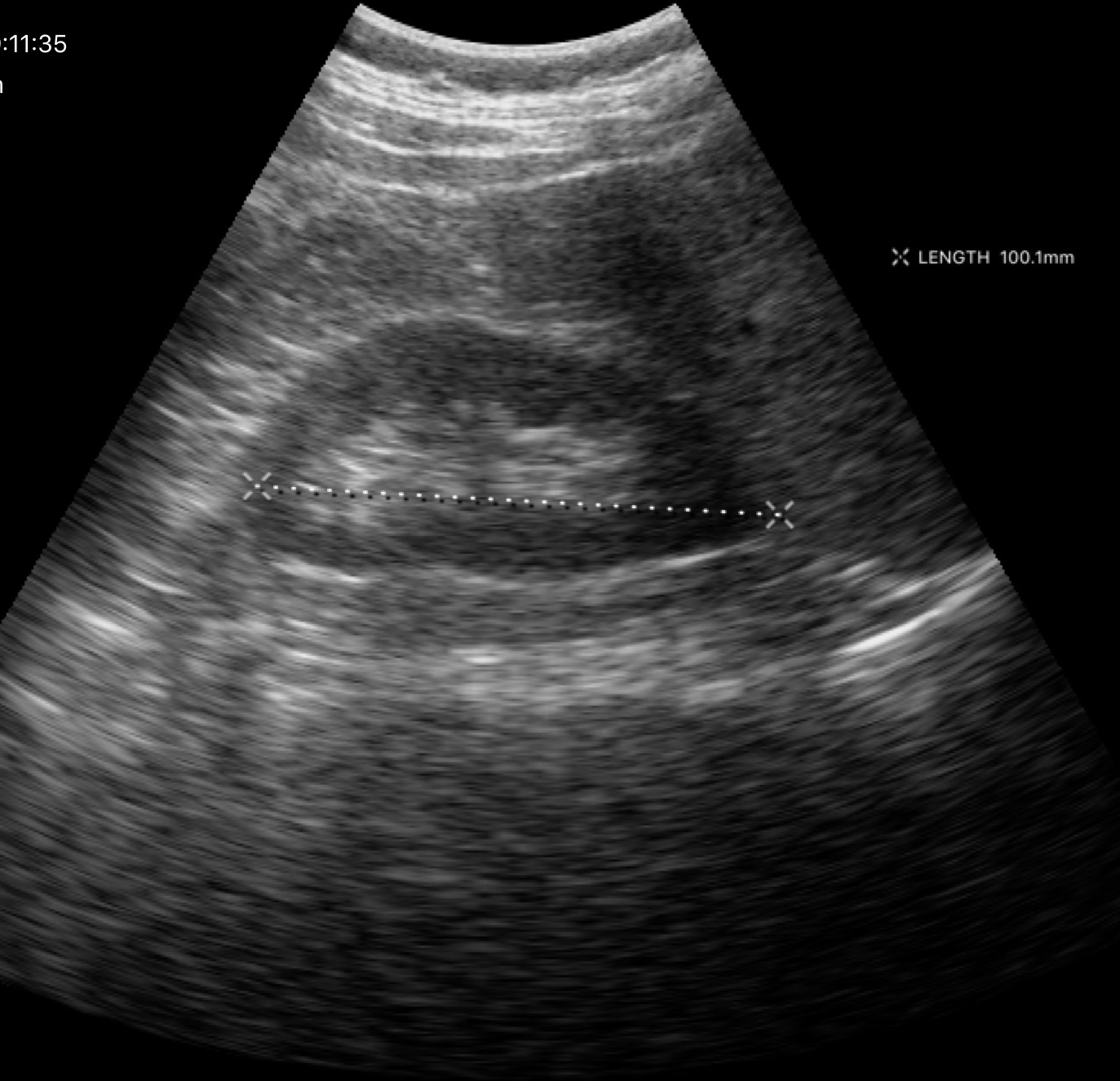
modality: genitourinary ultrasound.